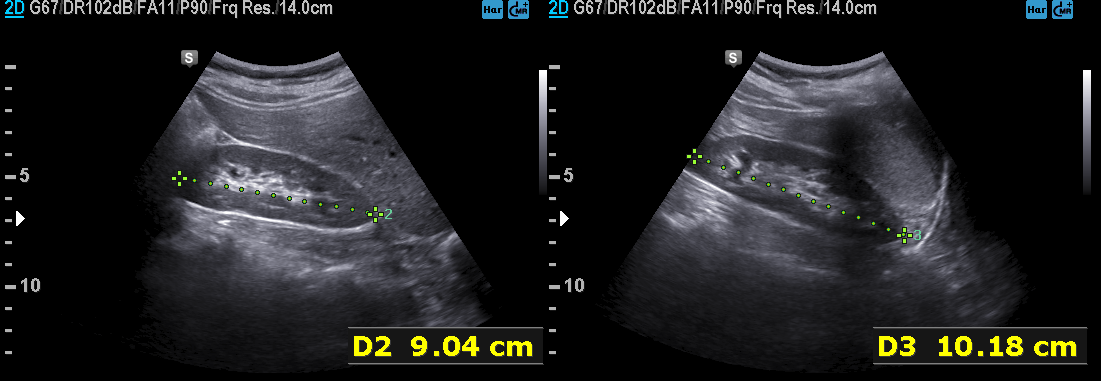
Genitourinary ultrasound.